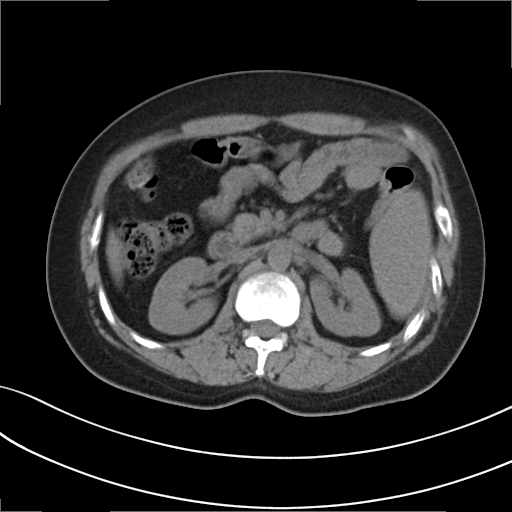
Multiphase abdominal CT, liver, non-contrast phase.
Patient: female, age 34.
History: prior chemotherapy.